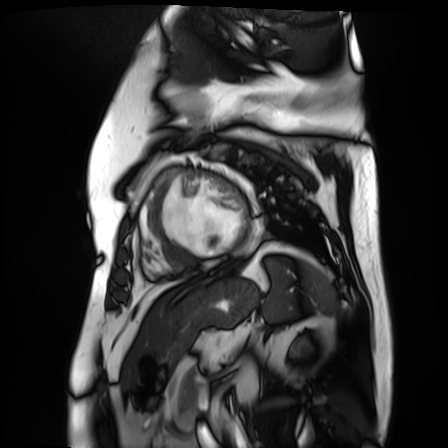
modality: cardiac MR image of the myocardium | subject cohort: cardiac patient.